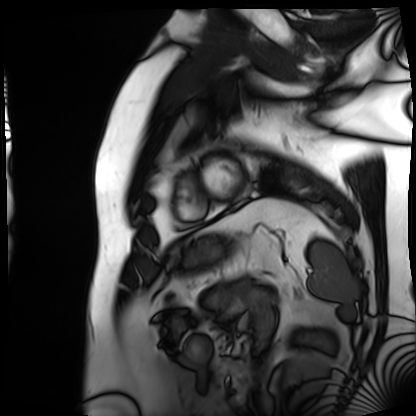
modality: cardiac MRI; subject group: patient.